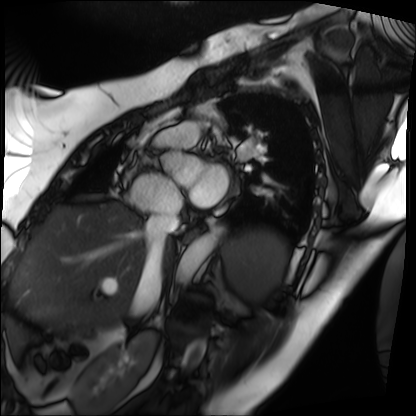
modality — cardiac MRI; subject group — patient.